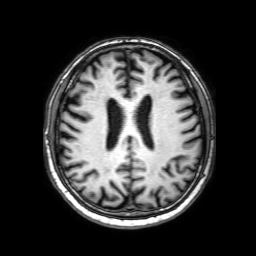
Case summary:
3 Tesla brain MRI. Series: 3D T1-weighted with SENSE. Study: ring-enhancing brain masses.